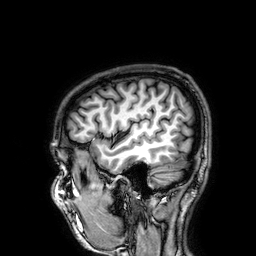
3 Tesla brain MRI.
Series: 3D T1-weighted.
Study: ring-enhancing brain masses.